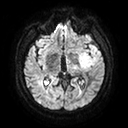
3 Tesla brain MRI. Series: diffusion tensor imaging (medium iso). Study: ring-enhancing brain masses.